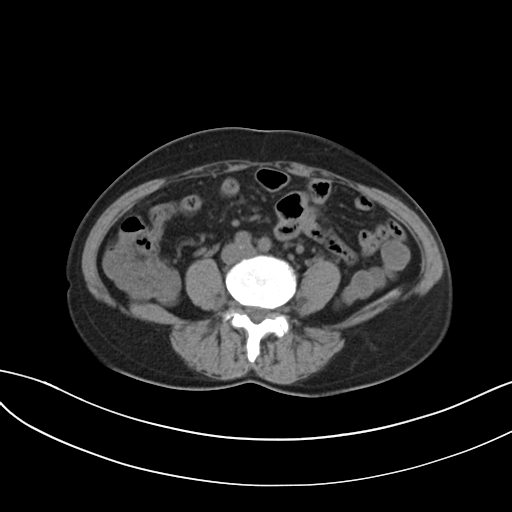
modality = multiphase abdominal CT, liver, non-contrast phase; patient = female, age 54.